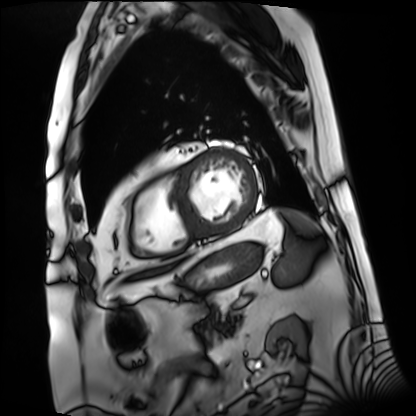
Cardiac MRI.
Subject group: patient.